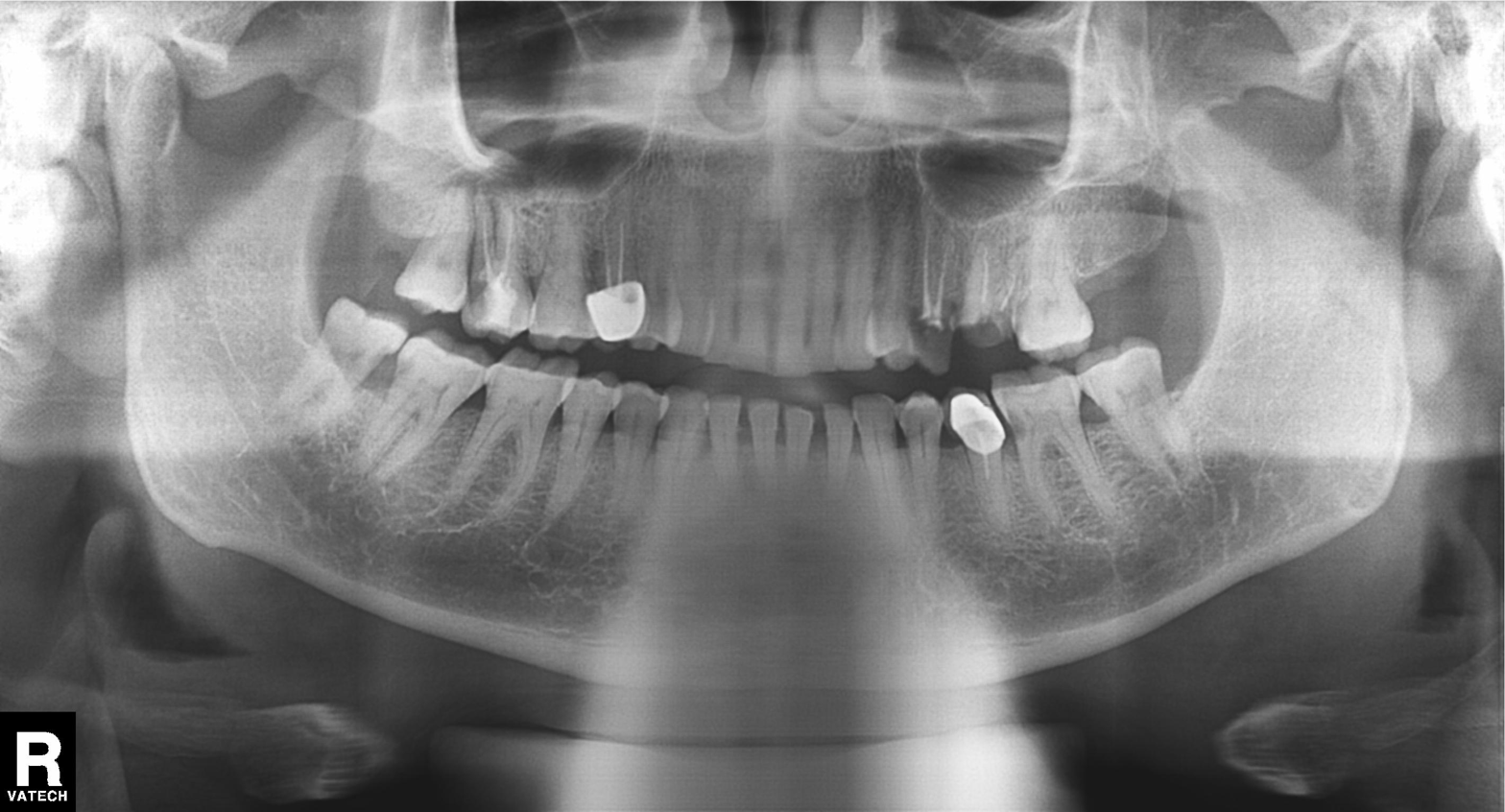
modality: panoramic dental radiograph (orthopantomogram); finding: dental caries (cavities).